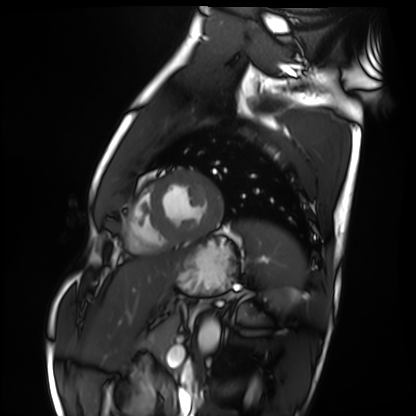
Clinical context: Cardiac MRI. Subject group: healthy volunteer.